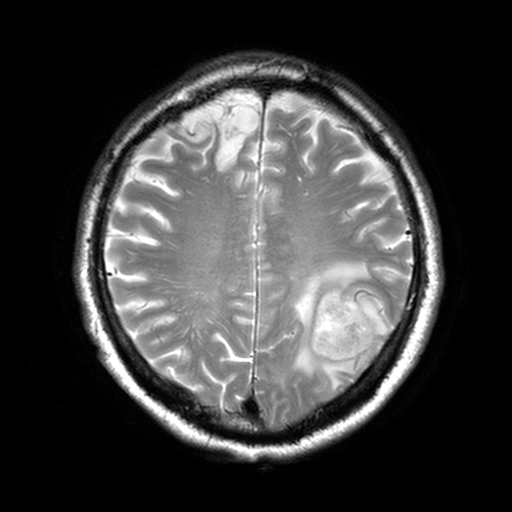
| field | value |
|---|---|
| modality | 3 Tesla brain MRI |
| series | T2-weighted turbo spin echo, 3 mm |
| study | ring-enhancing brain masses |